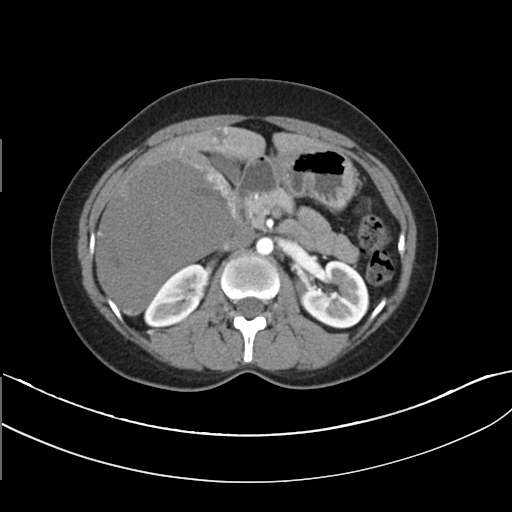
Multiphase abdominal CT, liver, arterial phase.
Patient: male, age 32.